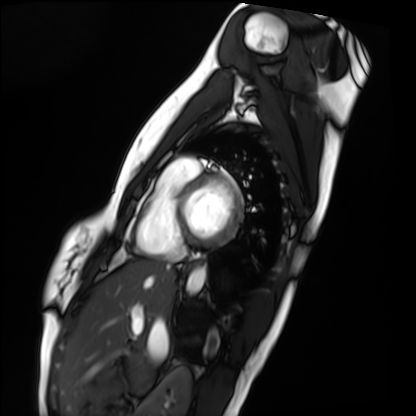
Q: What kind of scan is this?
A: Cardiac MRI.
Subject group: healthy volunteer.